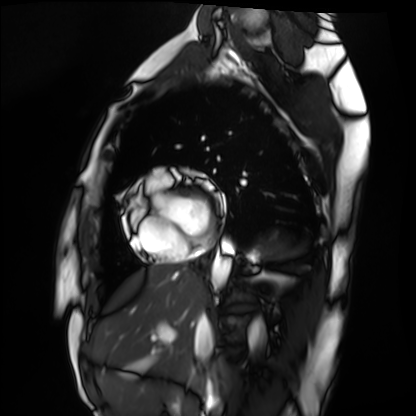
<study>
<modality>cardiac MRI</modality>
<cohort>healthy volunteer</cohort>
</study>